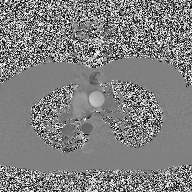
2D phase-contrast cine MRI of the ascending aorta, high-resolution GRAPPA acquisition.